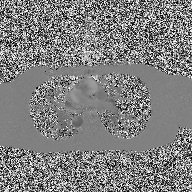
2D phase-contrast cine MRI of the ascending aorta, high-resolution GRAPPA acquisition.